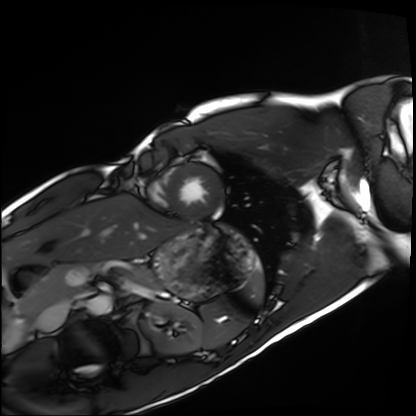
Case:
* modality — cardiac MRI
* subject group — healthy volunteer